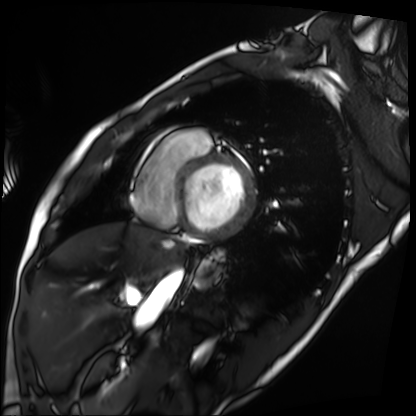
Cardiac MRI.
Subject group: patient.